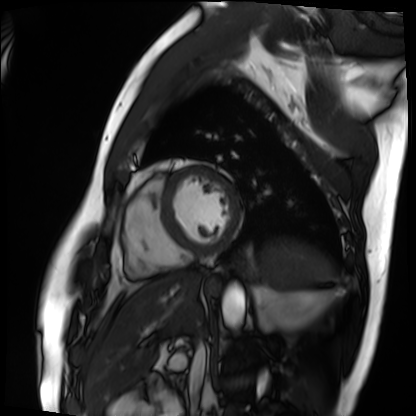
Summary: Cardiac MRI. Subject group: patient.